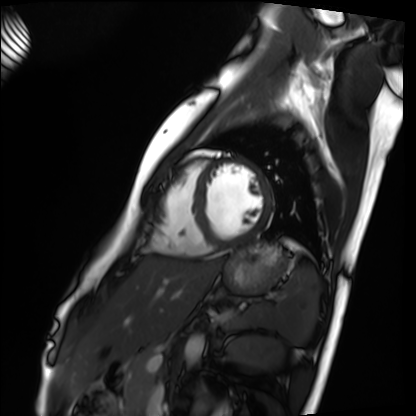
Cardiac MRI. Subject group: healthy volunteer.